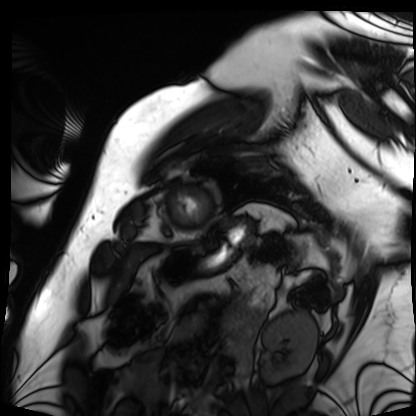
Summary: Cardiac MRI. Subject group: patient.